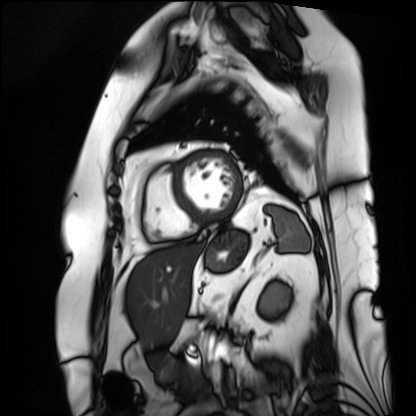
| field | value |
|---|---|
| modality | cardiac MRI |
| subject group | patient |